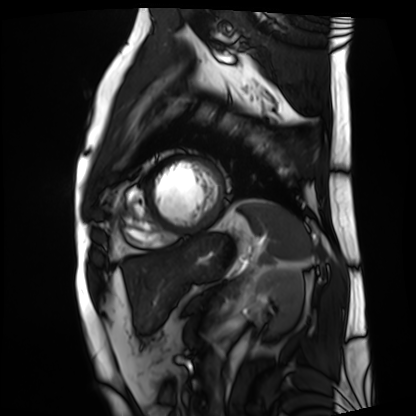
modality: cardiac MRI
subject group: patient